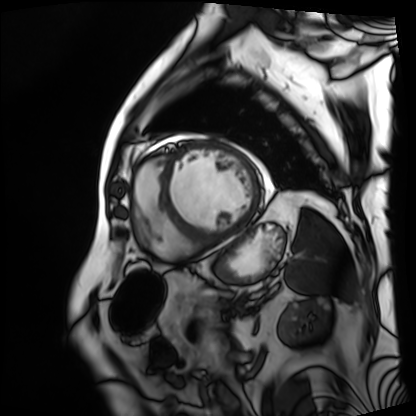
Summary: Cardiac MRI. Subject group: patient.